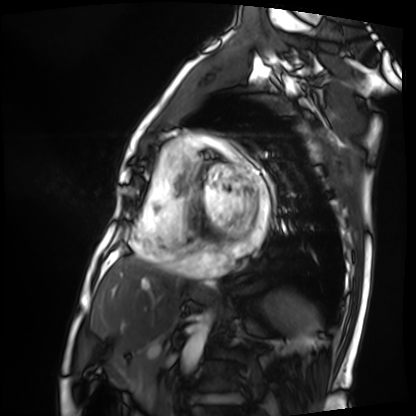
modality — cardiac MRI
subject group — patient